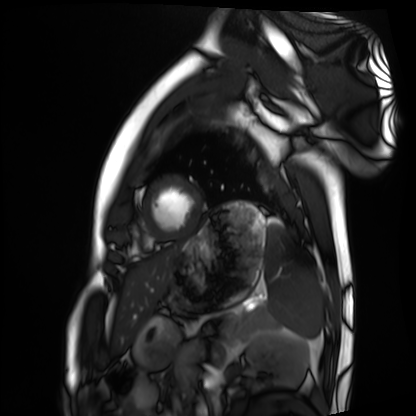
{"modality": "cardiac MRI", "cohort": "healthy volunteer"}